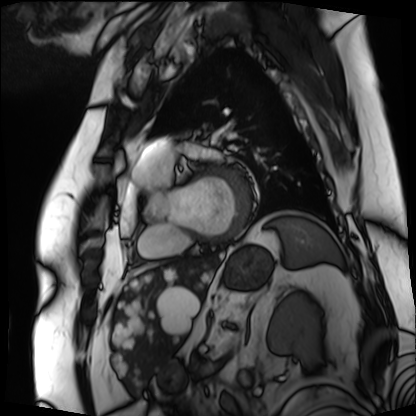
Summary: Cardiac MRI. Subject group: patient.